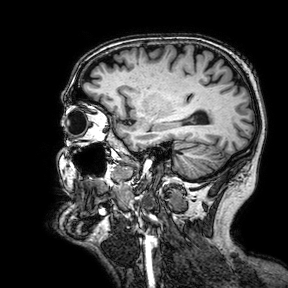
3 Tesla brain MRI. Series: 3D T1-weighted turbo field echo with SENSE. Study: ring-enhancing brain masses.